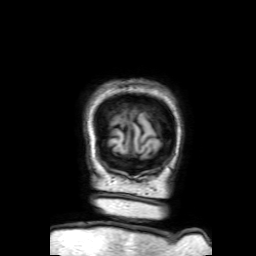
Clinical context:
3 Tesla brain MRI. Series: 3D T1-weighted with SENSE. Study: ring-enhancing brain masses.